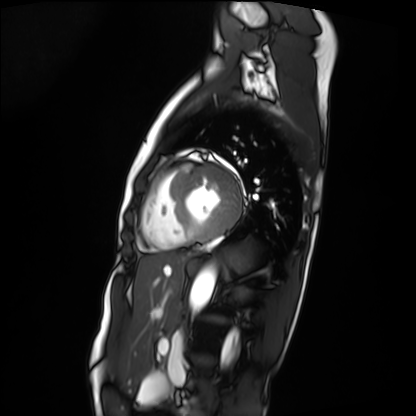
Cardiac MRI. Subject group: patient.